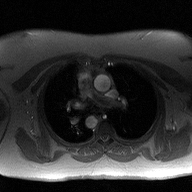
Summary: 2D phase-contrast cine MRI of the ascending aorta, high-resolution GRAPPA acquisition.